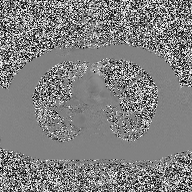
Q: What kind of scan is this?
A: 2D phase-contrast cine MRI of the ascending aorta.